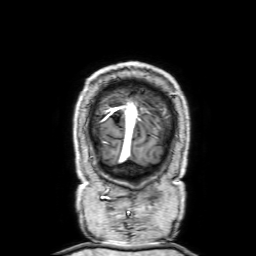
Q: What kind of scan is this?
A: 3 Tesla brain MRI.
Q: Series?
A: 3D T1-weighted with SENSE.
Study: ring-enhancing brain masses.